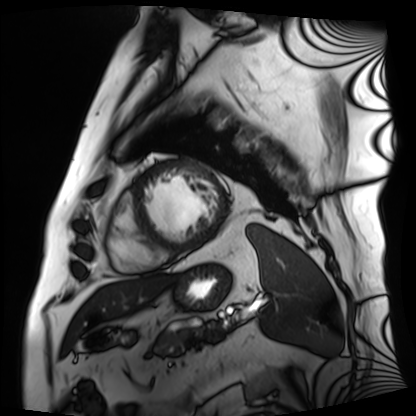
Summary:
Cardiac MRI. Subject group: patient.